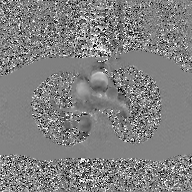
modality: 2D phase-contrast cine MRI of the ascending aorta, GAN super-resolution reconstruction